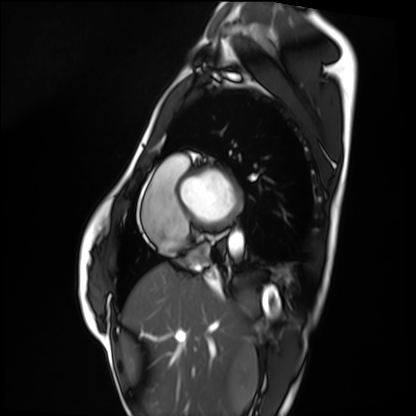
| field | value |
|---|---|
| modality | cardiac MRI |
| subject group | healthy volunteer |